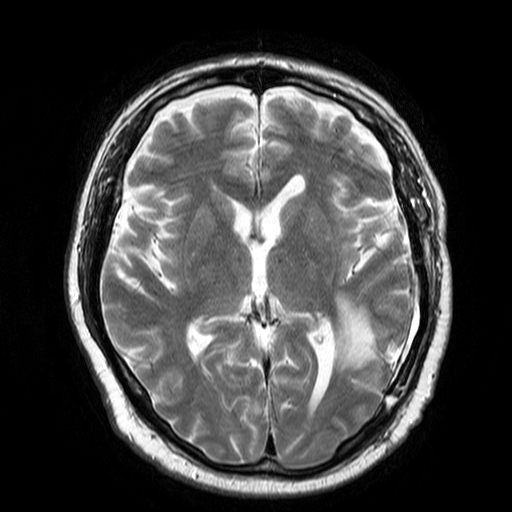
3 Tesla brain MRI.
Study: ring-enhancing brain masses.